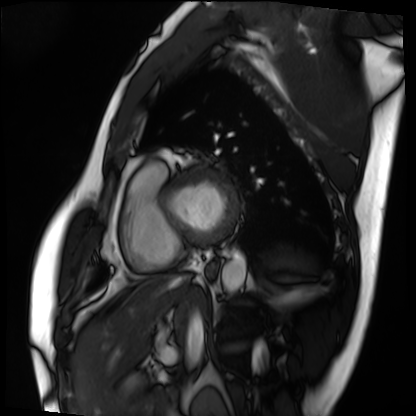
{"modality": "cardiac MRI", "cohort": "patient"}